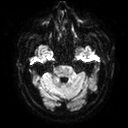
- modality · 3 Tesla brain MRI
- series · diffusion tensor imaging (medium iso)
- study · ring-enhancing brain masses